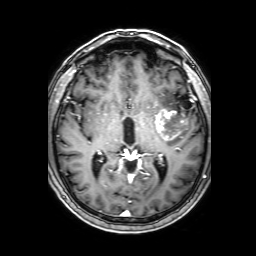
modality = 3 Tesla brain MRI; study = ring-enhancing brain masses.